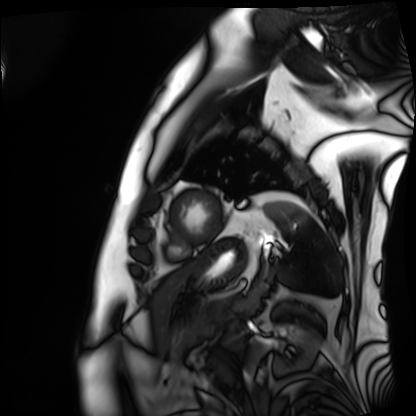
modality=cardiac MRI | subject group=patient.